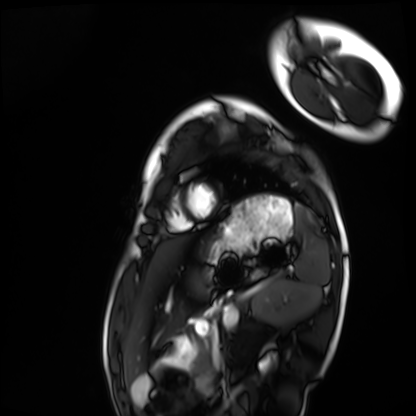
Cardiac MRI. Subject group: healthy volunteer.